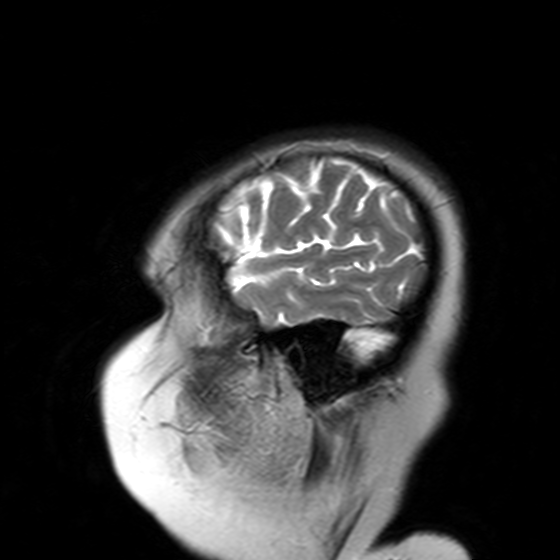
3 Tesla brain MRI. Series: T2-weighted turbo spin echo with SENSE. Study: ring-enhancing brain masses.